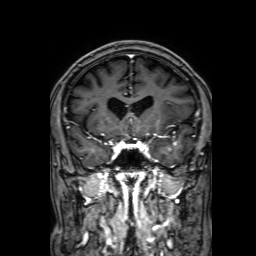
3 Tesla brain MRI.
Series: 3D T1-weighted with SENSE.
Study: ring-enhancing brain masses.